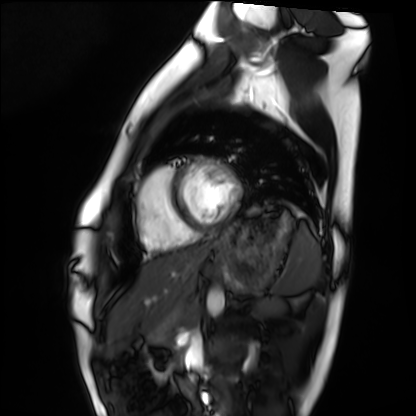
Clinical context:
Cardiac MRI. Subject group: healthy volunteer.